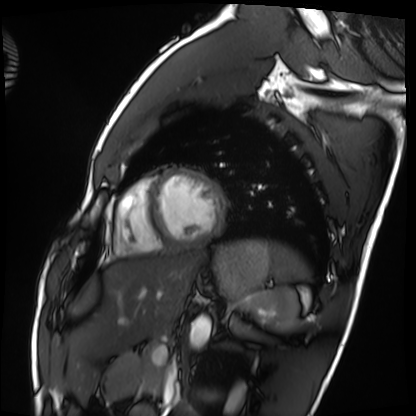
Cardiac MRI. Subject group: healthy volunteer.